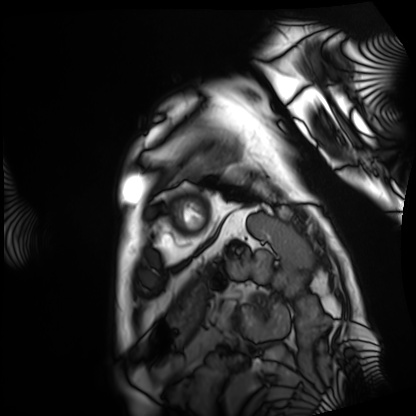
modality = cardiac MRI | subject group = patient.